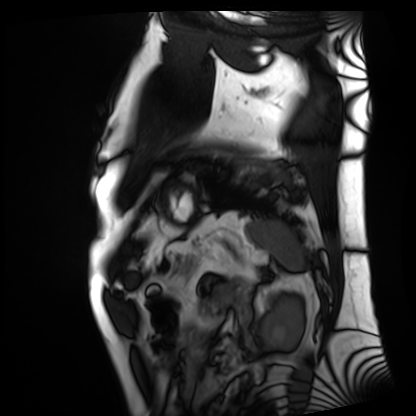
<record>
  <modality>cardiac MRI</modality>
  <cohort>patient</cohort>
</record>